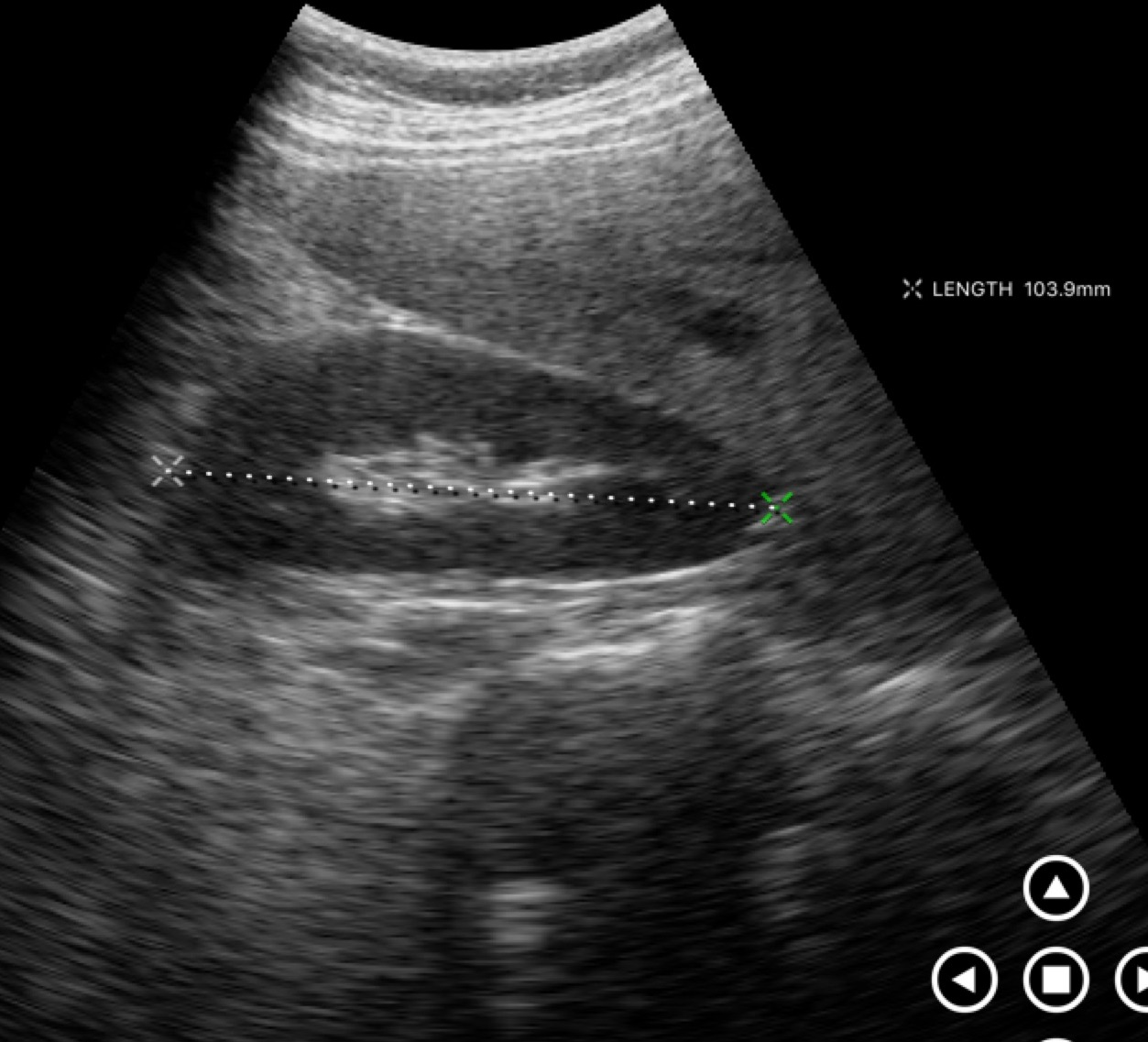
Genitourinary ultrasound.